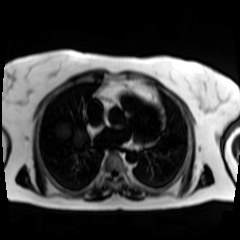
Q: What kind of scan is this?
A: Chemical-shift-encoded cardiac MRI.